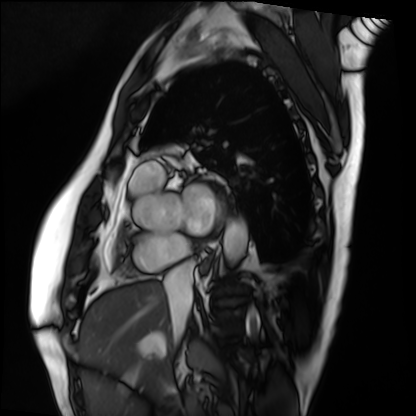
– modality — cardiac MRI
– subject group — patient